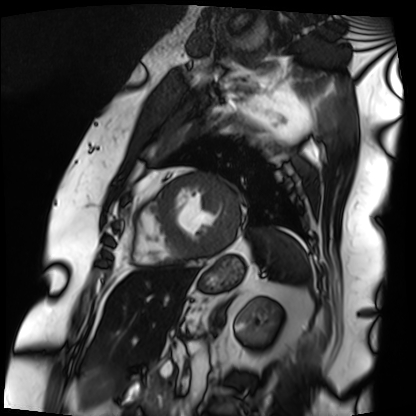
  modality: cardiac MRI
  cohort: patient